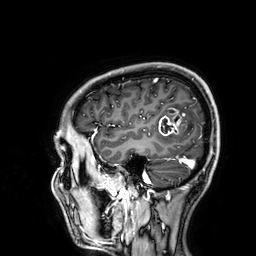
3 Tesla brain MRI.
Series: 3D T1-weighted.
Study: ring-enhancing brain masses.